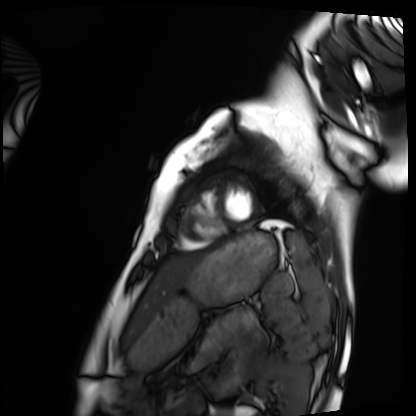
Cardiac MRI.
Subject group: healthy volunteer.